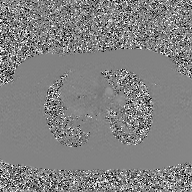
2D phase-contrast cine MRI of the ascending aorta, GAN super-resolution reconstruction.